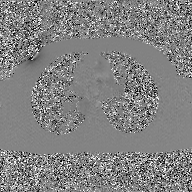
modality: 2D phase-contrast cine MRI of the ascending aorta, GAN super-resolution reconstruction.